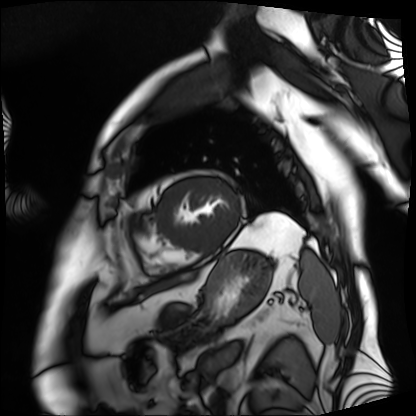
Clinical context: Cardiac MRI. Subject group: patient.